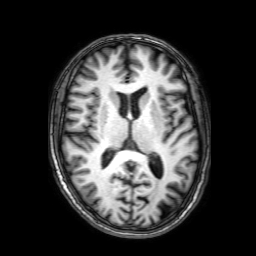
{
  "modality": {
    "type": "brain MRI",
    "field_strength": "3T"
  },
  "series": "3D T1-weighted with SENSE",
  "study_topic": "ring-enhancing brain masses"
}